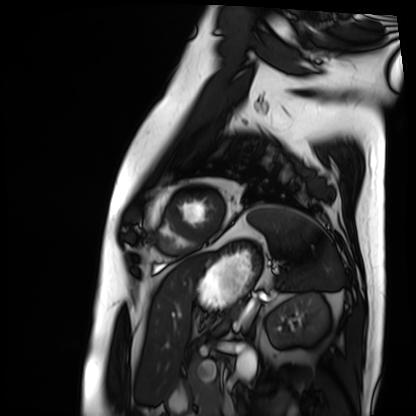
Cardiac MRI.
Subject group: patient.